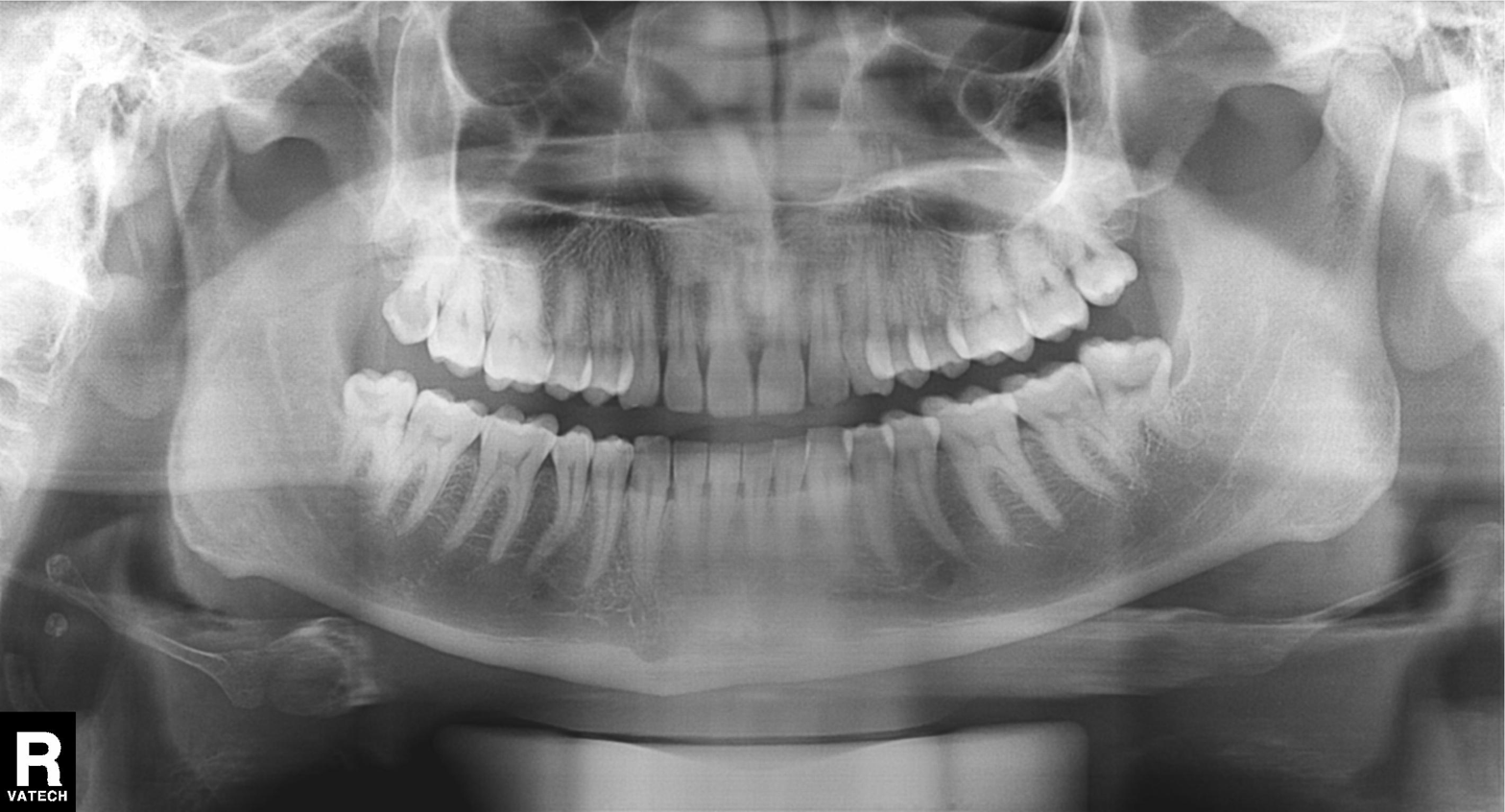
modality — panoramic dental radiograph (orthopantomogram); finding — dental caries (cavities).